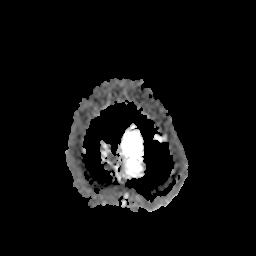
Summary:
3 Tesla brain MRI. Series: apparent diffusion coefficient (ADC) map. Study: ring-enhancing brain masses.